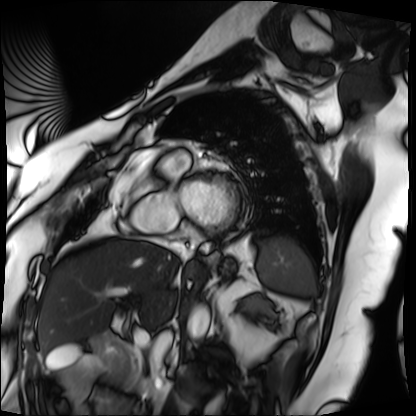
Cardiac MRI.
Subject group: patient.